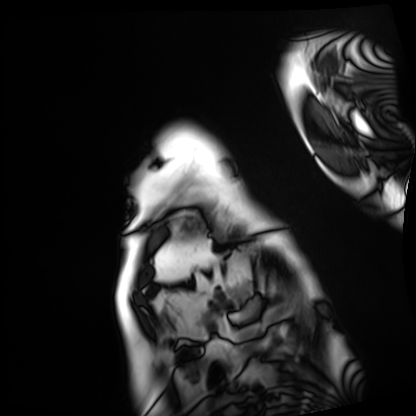
Cardiac MRI.
Subject group: patient.